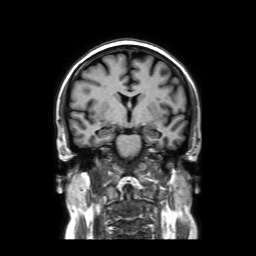
Case summary:
3 Tesla brain MRI. Series: coronal without contrast. Study: ring-enhancing brain masses.